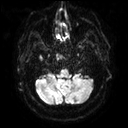
Case:
- modality — 3 Tesla brain MRI
- series — diffusion tensor imaging (medium iso)
- study — ring-enhancing brain masses